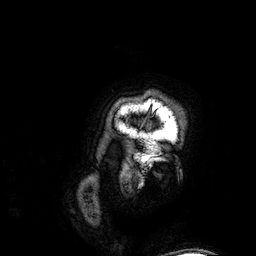
<scan>
<modality>
  <type>brain MRI</type>
  <field_strength>3T</field_strength>
</modality>
<series>3D T1-weighted</series>
<study_topic>ring-enhancing brain masses</study_topic>
</scan>